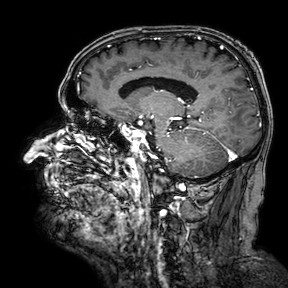
3 Tesla brain MRI.
Series: 3D T1-weighted turbo field echo with SENSE.
Study: ring-enhancing brain masses.